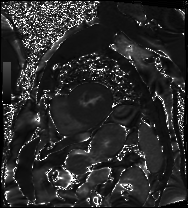
Case:
* modality · cardiac MRI
* subject group · patient